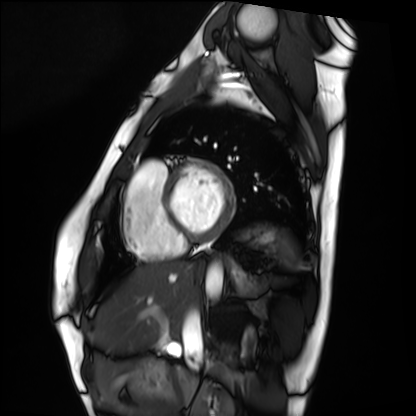
modality: cardiac MRI
cohort: healthy volunteer